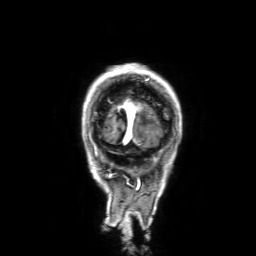
Clinical context: 3 Tesla brain MRI. Series: 3D T1-weighted with SENSE. Study: ring-enhancing brain masses.